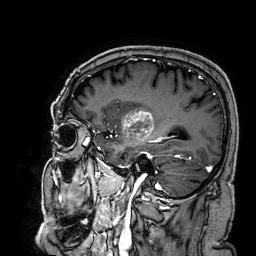
modality: 3 Tesla brain MRI | series: 3D T1-weighted | study: ring-enhancing brain masses.